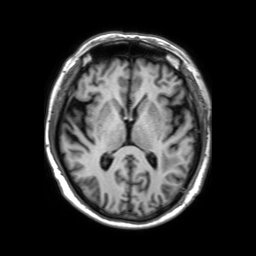
* modality: 3 Tesla brain MRI
* series: 3D T1-weighted TFE with SENSE
* study: ring-enhancing brain masses